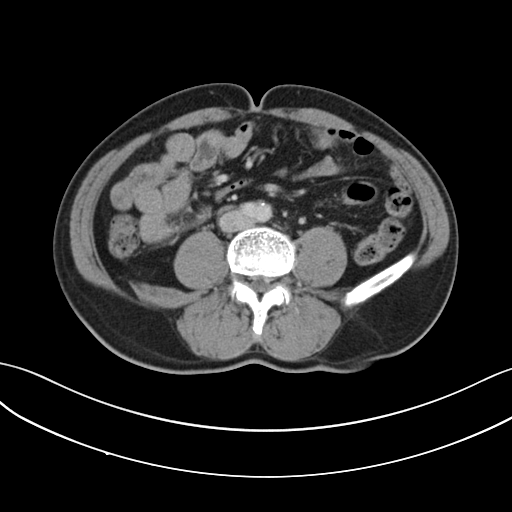
| field | value |
|---|---|
| modality | multiphase abdominal CT, liver, portal venous phase |